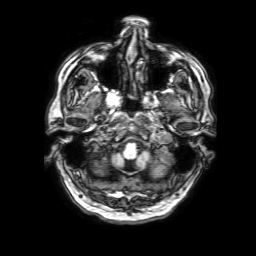
3 Tesla brain MRI. Series: 3D T1-weighted with SENSE. Study: ring-enhancing brain masses.